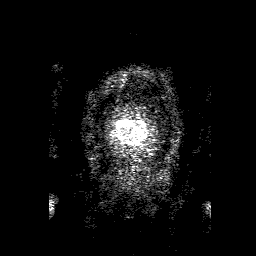
3 Tesla brain MRI. Series: 3D T1-weighted with SENSE. Study: ring-enhancing brain masses.